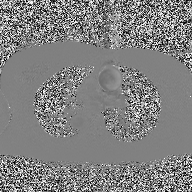
Summary:
2D phase-contrast cine MRI of the ascending aorta, high-resolution GRAPPA acquisition.